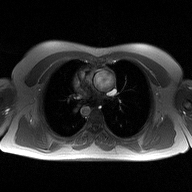
2D phase-contrast cine MRI of the ascending aorta, high-resolution GRAPPA acquisition.